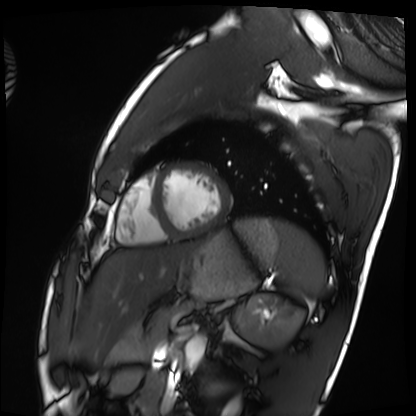
Case:
– modality — cardiac MRI
– subject group — healthy volunteer